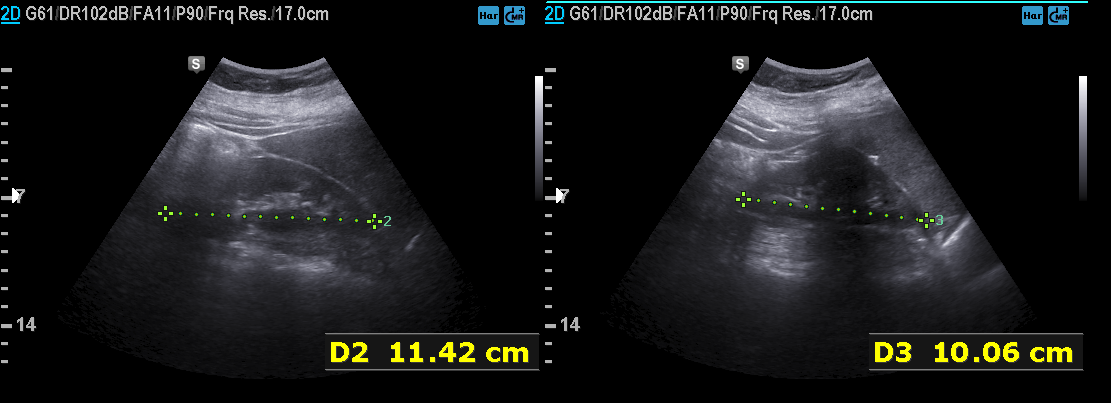
{"modality": {"type": "genitourinary ultrasound"}}